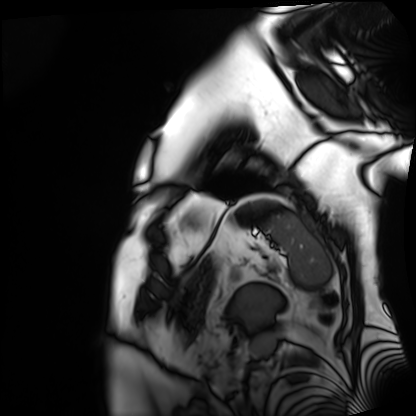
<record>
  <modality>cardiac MRI</modality>
  <cohort>patient</cohort>
</record>